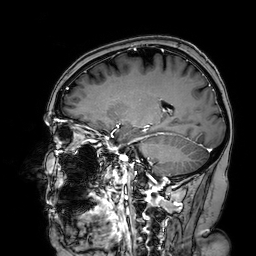
3 Tesla brain MRI. Series: 3D T1-weighted turbo field echo with SENSE. Study: ring-enhancing brain masses.